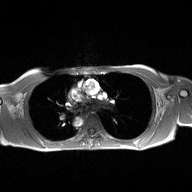
2D phase-contrast cine MRI of the ascending aorta, high-resolution GRAPPA acquisition.